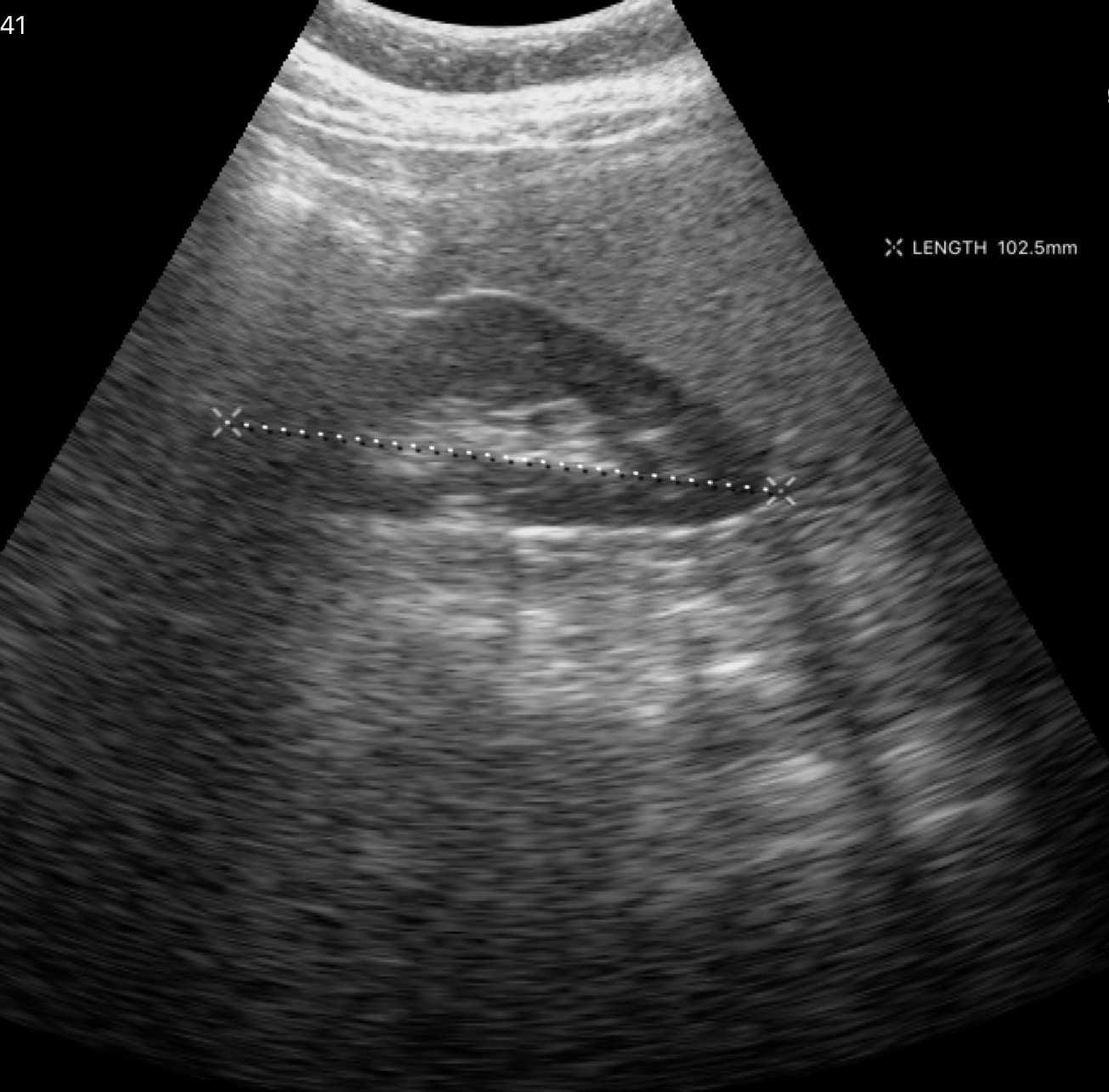
Summary: Genitourinary ultrasound.